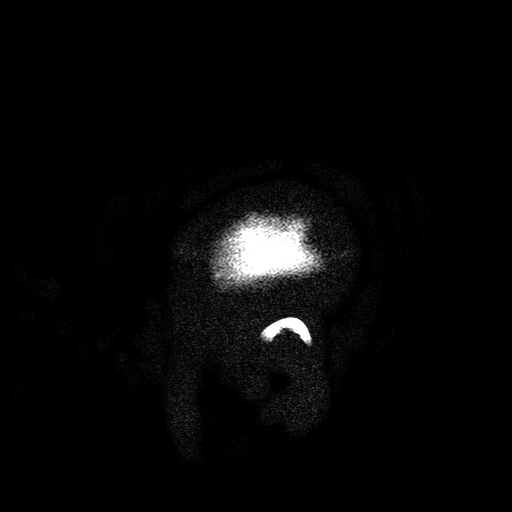
Case:
– modality — 3 Tesla brain MRI
– series — T2-weighted turbo spin echo with SENSE
– study — ring-enhancing brain masses